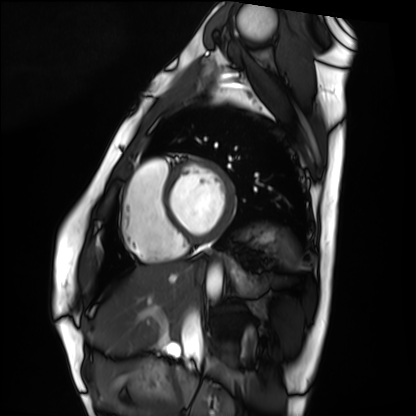
Q: What kind of scan is this?
A: Cardiac MRI.
Subject group: healthy volunteer.